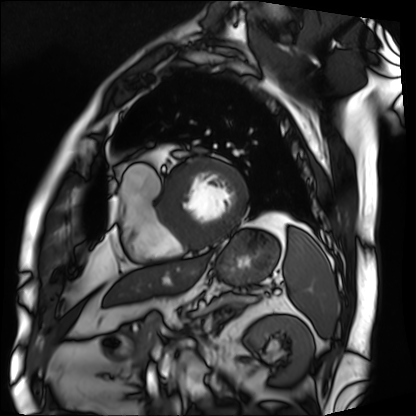
modality = cardiac MRI, subject group = patient.